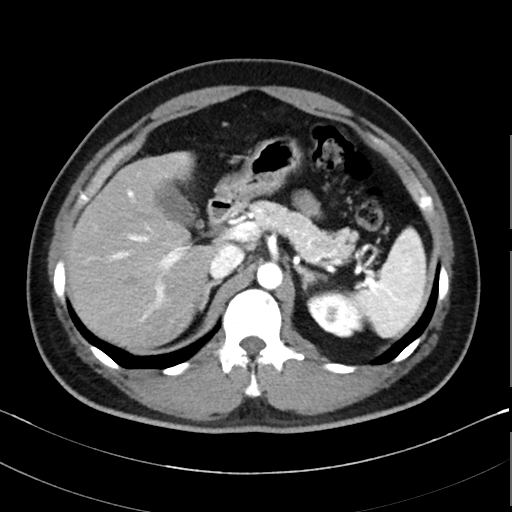
modality: multiphase abdominal CT, liver, arterial phase | patient: male, age 39.